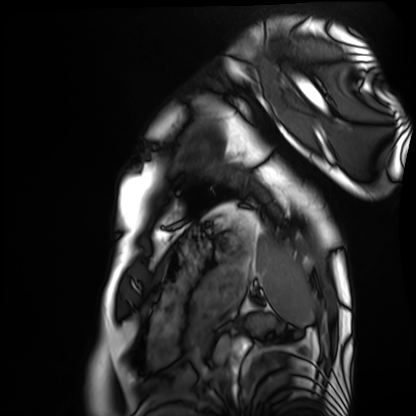
- modality · cardiac MRI
- subject group · healthy volunteer